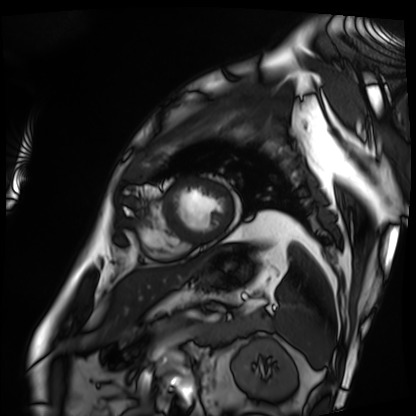
Cardiac MRI. Subject group: patient.